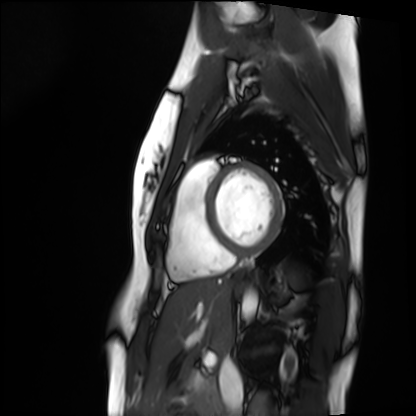
Cardiac MRI. Subject group: healthy volunteer.